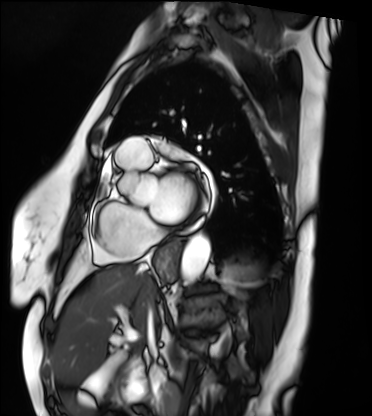
{
  "modality": "cardiac MRI",
  "cohort": "patient"
}